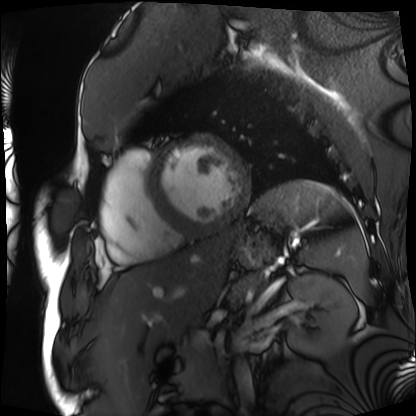
Q: What kind of scan is this?
A: Cardiac MRI.
Subject group: patient.